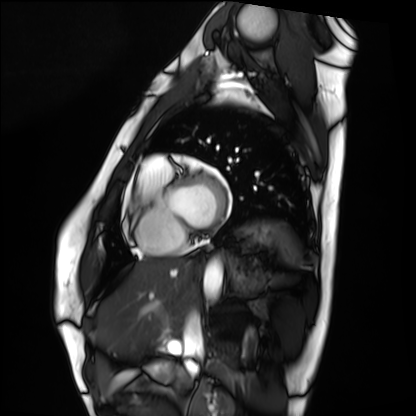
modality — cardiac MRI
subject group — healthy volunteer